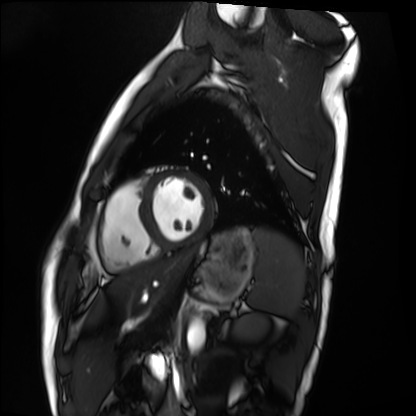
* modality: cardiac MRI
* subject group: healthy volunteer